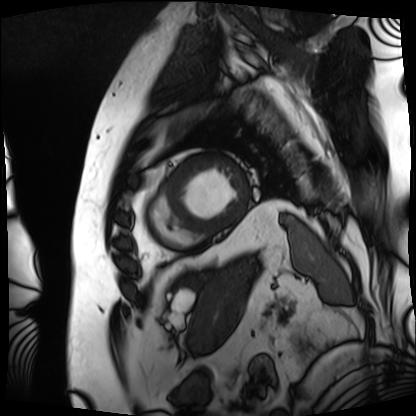
Cardiac MRI.
Subject group: patient.